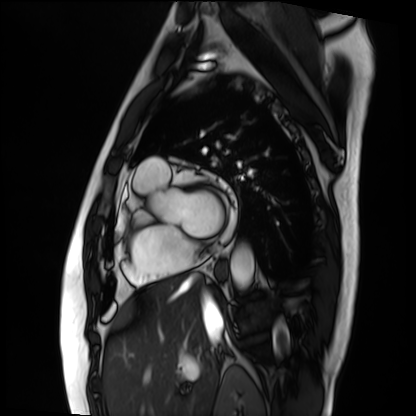
modality: cardiac MRI, subject group: patient.